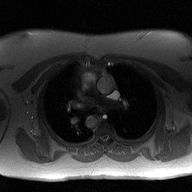
Summary: 2D phase-contrast cine MRI of the ascending aorta, high-resolution GRAPPA acquisition.